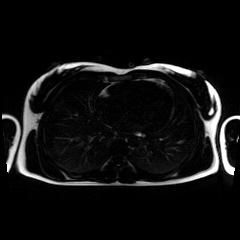
| field | value |
|---|---|
| modality | chemical-shift-encoded cardiac MRI |